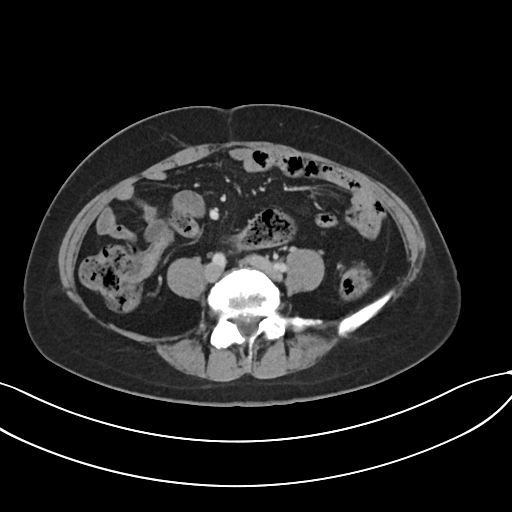
Q: What kind of scan is this?
A: Multiphase abdominal CT, liver, portal venous phase.
Q: Patient?
A: Female, age 48.
Q: History?
A: Prior chemotherapy.